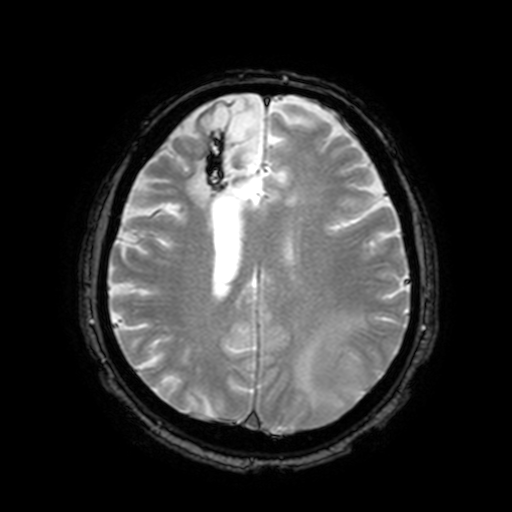
modality=3 Tesla brain MRI; series=T2-weighted fast field echo with SENSE; study=ring-enhancing brain masses.